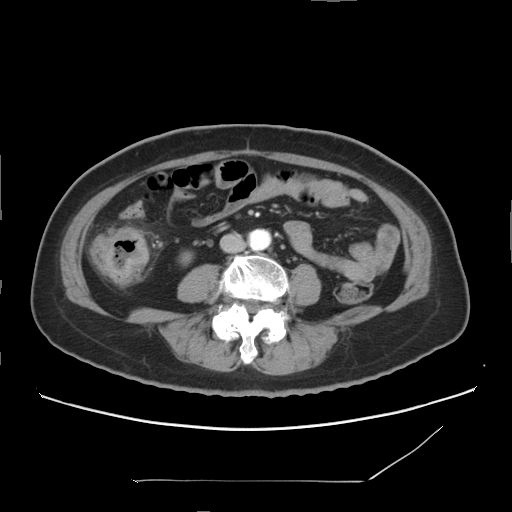
- modality — multiphase abdominal CT, liver, arterial phase
- patient — female, age 66